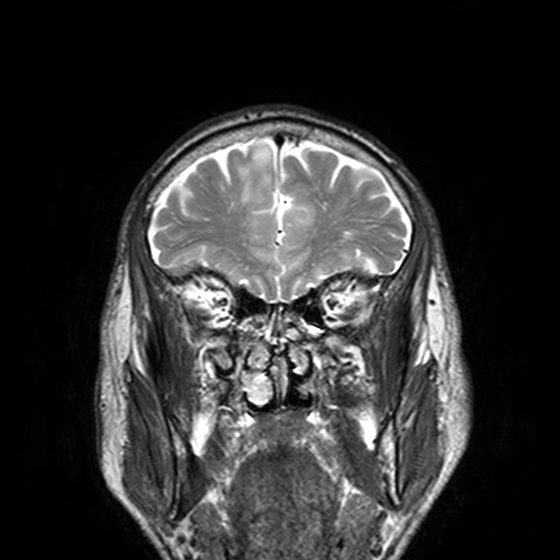
Case summary:
3 Tesla brain MRI. Series: T2-weighted turbo spin echo, 3 mm. Study: ring-enhancing brain masses.